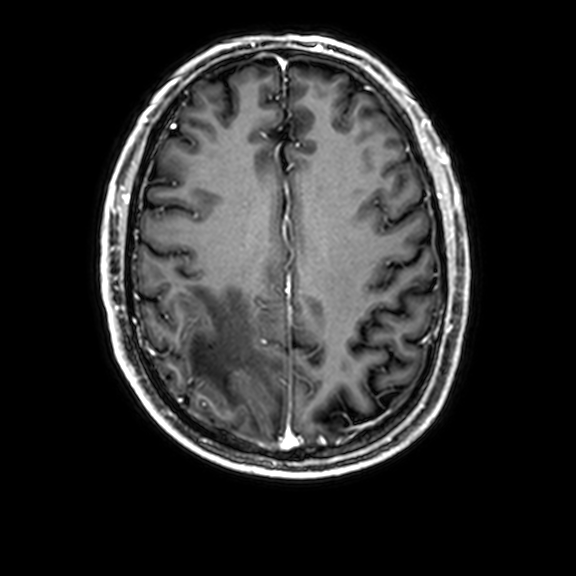
Case summary:
3 Tesla brain MRI. Series: 3D T1-weighted with CLEAR. Study: ring-enhancing brain masses.